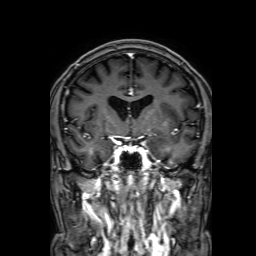
3 Tesla brain MRI.
Series: 3D T1-weighted with SENSE.
Study: ring-enhancing brain masses.